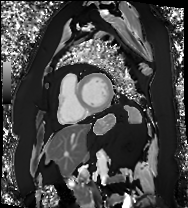
Q: What kind of scan is this?
A: Cardiac MRI.
Subject group: patient.